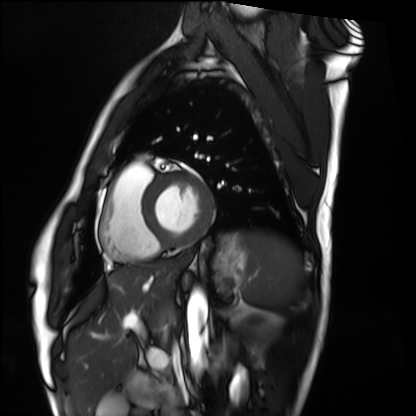
  modality: cardiac MRI
  cohort: healthy volunteer